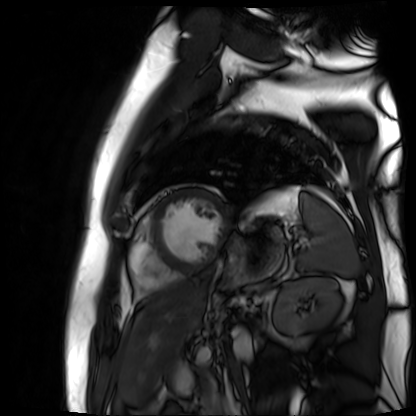
  modality: cardiac MR image of the myocardium
  cohort: cardiac patient